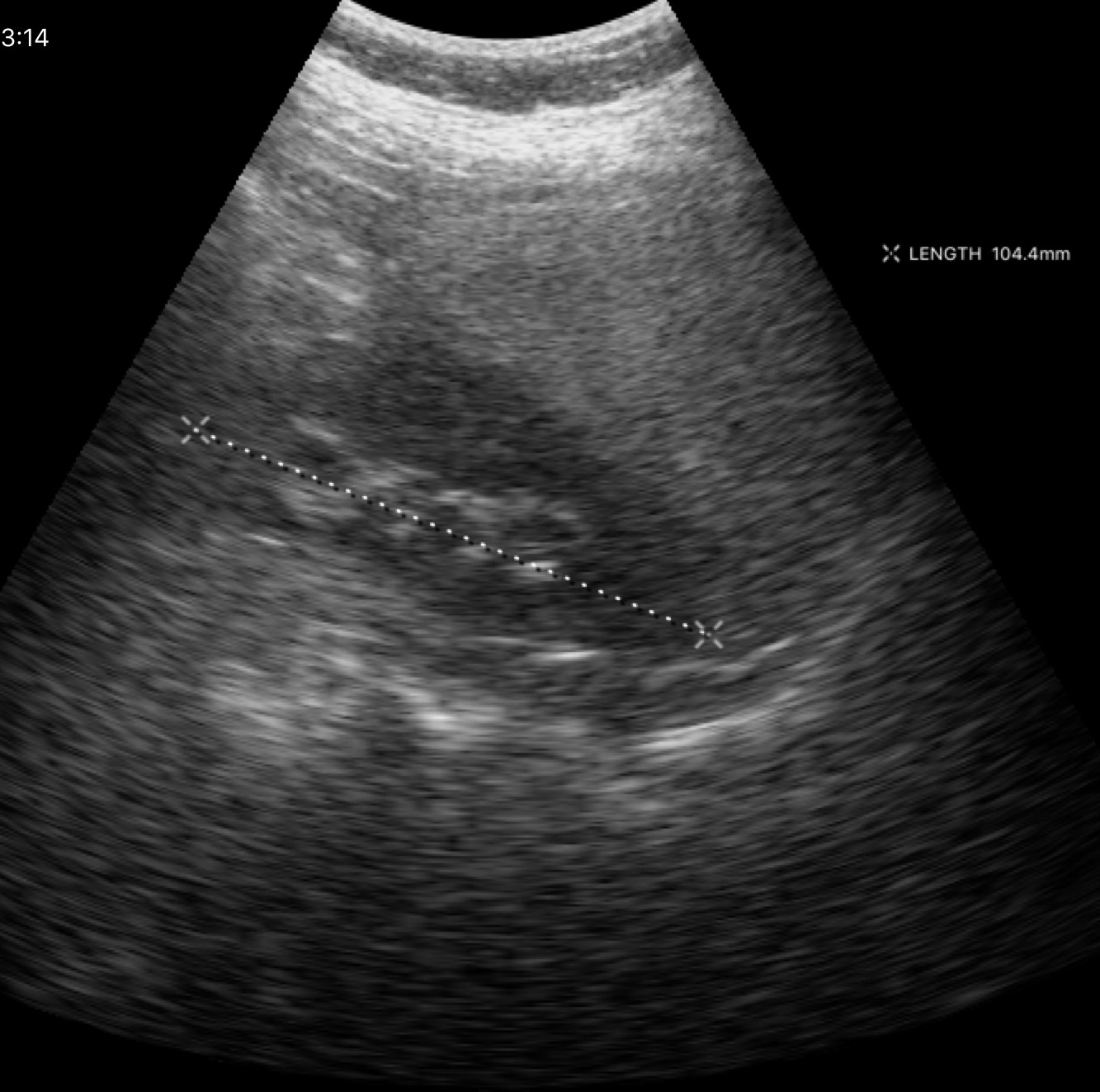
Q: What kind of scan is this?
A: Genitourinary ultrasound.